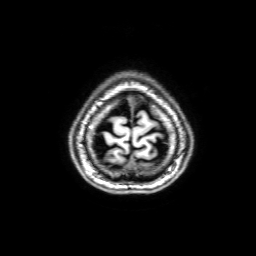
3 Tesla brain MRI. Study: ring-enhancing brain masses.